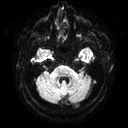
3 Tesla brain MRI. Study: ring-enhancing brain masses.